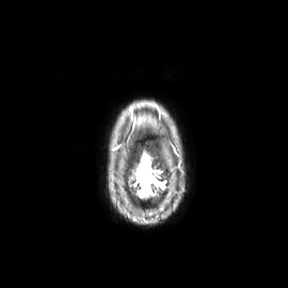
| field | value |
|---|---|
| modality | 3 Tesla brain MRI |
| study | ring-enhancing brain masses |